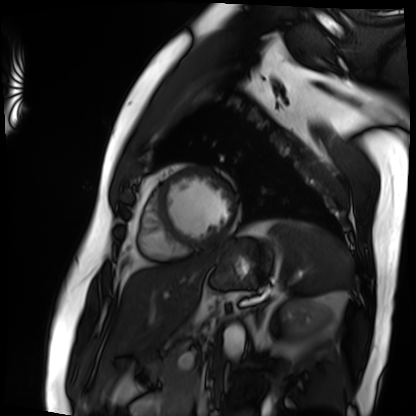
Cardiac MRI.
Subject group: patient.